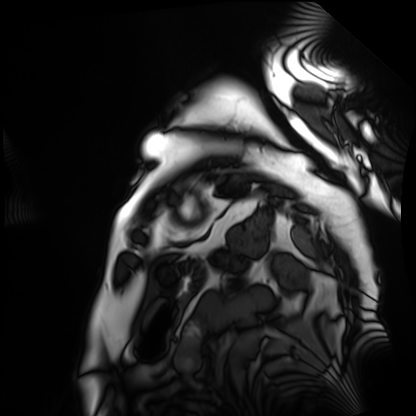
Summary: Cardiac MRI. Subject group: patient.